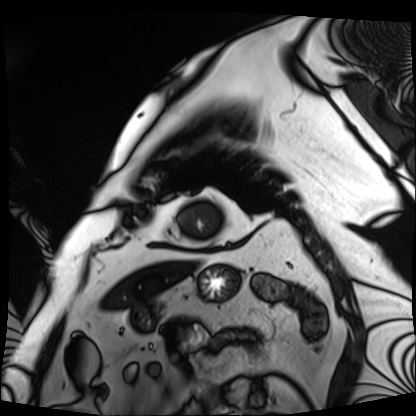
Q: What kind of scan is this?
A: Cardiac MRI.
Subject group: patient.